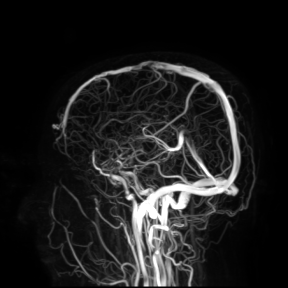
{
  "modality": {
    "type": "brain MRI",
    "field_strength": "3T"
  },
  "study_topic": "ring-enhancing brain masses"
}